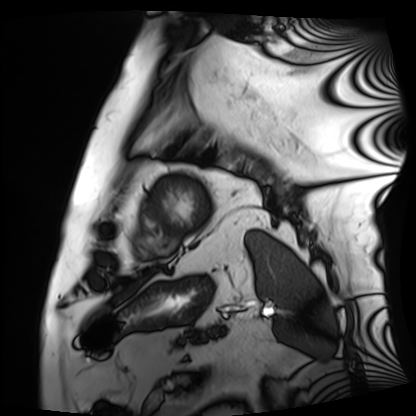
Cardiac MRI. Subject group: patient.